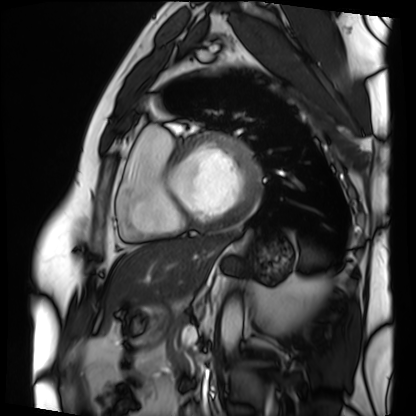
  modality: cardiac MRI
  cohort: patient